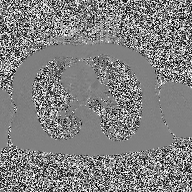
Summary: 2D phase-contrast cine MRI of the ascending aorta, high-resolution GRAPPA acquisition.